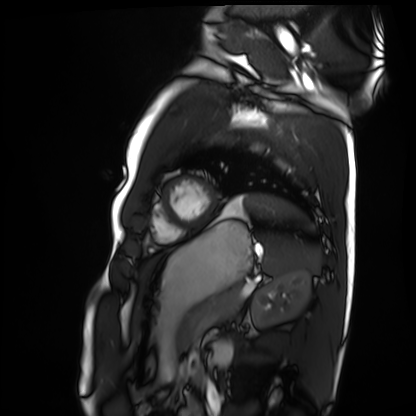
Cardiac MRI.
Subject group: healthy volunteer.